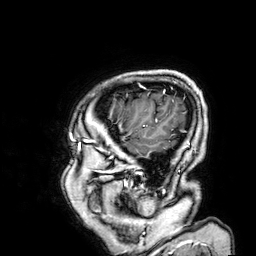
{"modality": {"type": "brain MRI", "field_strength": "3T"}, "series": "3D T1-weighted", "study_topic": "ring-enhancing brain masses"}